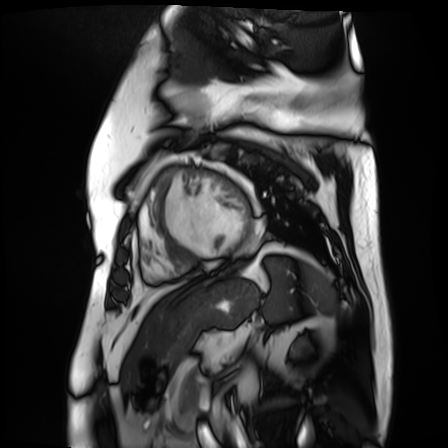
Cardiac MR image of the myocardium.
Subject cohort: cardiac patient.